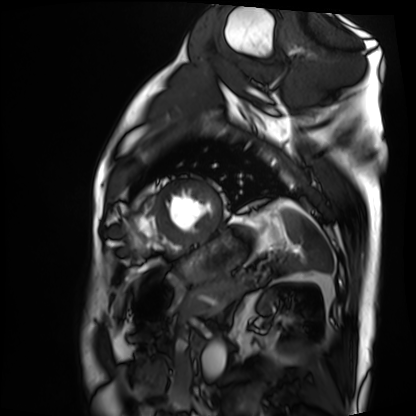
modality: cardiac MRI, subject group: patient.